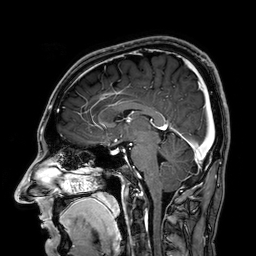
{
  "modality": {
    "type": "brain MRI",
    "field_strength": "3T"
  },
  "series": "3D T1-weighted",
  "study_topic": "ring-enhancing brain masses"
}